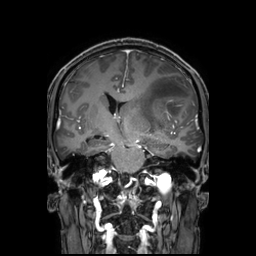
{"modality": {"type": "brain MRI", "field_strength": "3T"}, "series": "3D T1-weighted TFE with SENSE", "study_topic": "ring-enhancing brain masses"}